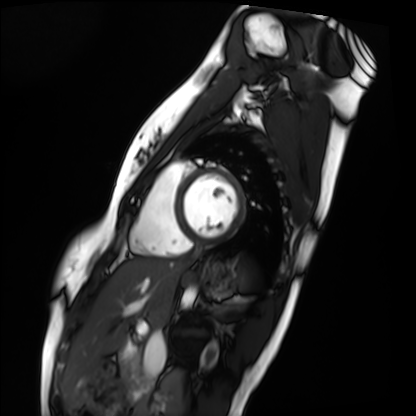
modality: cardiac MRI
subject group: healthy volunteer